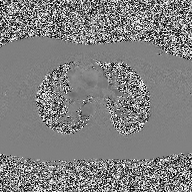
2D phase-contrast cine MRI of the ascending aorta, high-resolution GRAPPA acquisition.